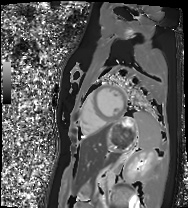
modality: cardiac MRI
cohort: healthy volunteer